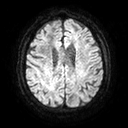
Clinical context: 3 Tesla brain MRI. Series: diffusion tensor imaging (medium iso). Study: ring-enhancing brain masses.